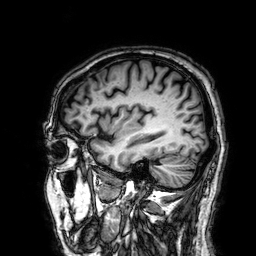
3 Tesla brain MRI. Study: ring-enhancing brain masses.